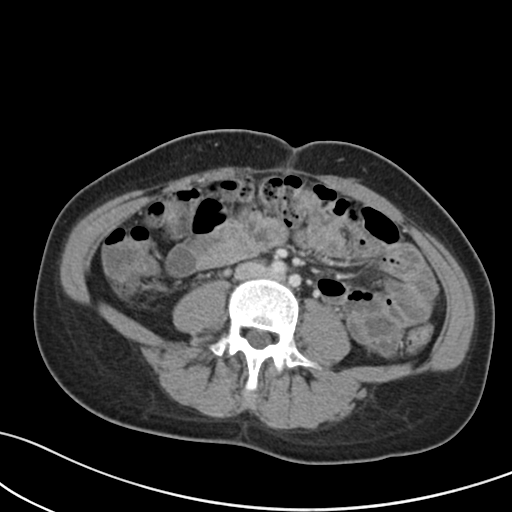
Summary: Multiphase abdominal CT, liver, portal venous phase. Patient: female, age 37. History: prior chemotherapy.